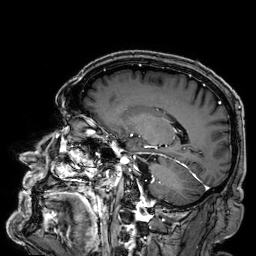
3 Tesla brain MRI. Series: 3D T1-weighted. Study: ring-enhancing brain masses.